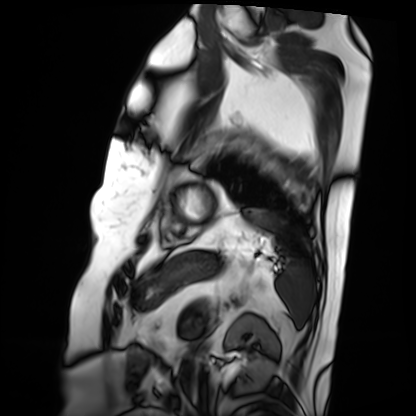
modality: cardiac MRI, subject group: patient.